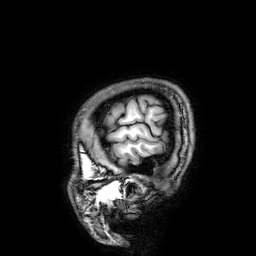
modality = 3 Tesla brain MRI | study = ring-enhancing brain masses.